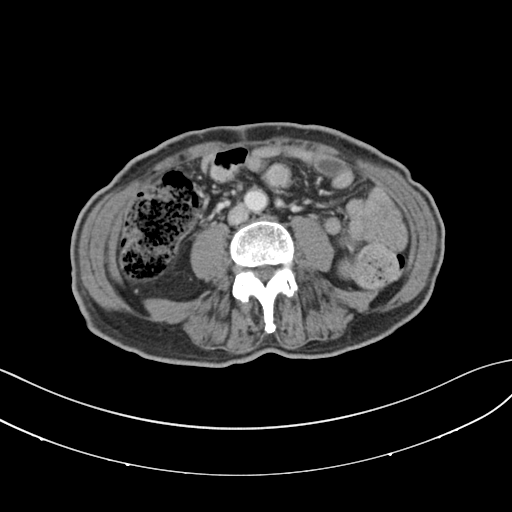
  modality:
    type: multiphase abdominal CT
    region: liver
    phase: portal venous